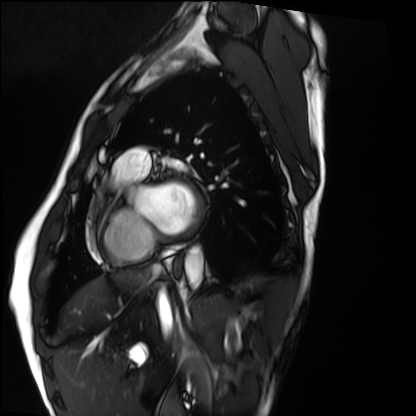
Summary:
Cardiac MRI. Subject group: healthy volunteer.